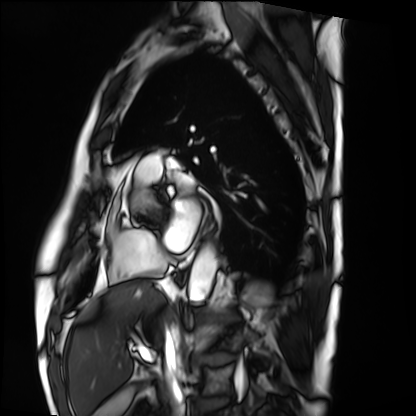
Summary: Cardiac MRI. Subject group: patient.